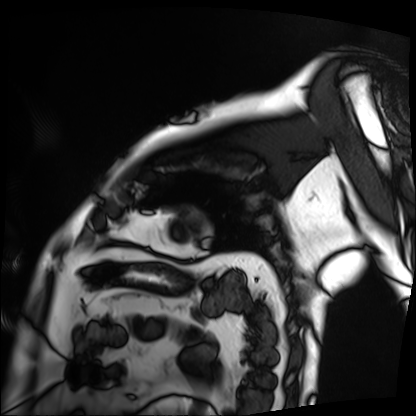
Cardiac MRI.
Subject group: patient.